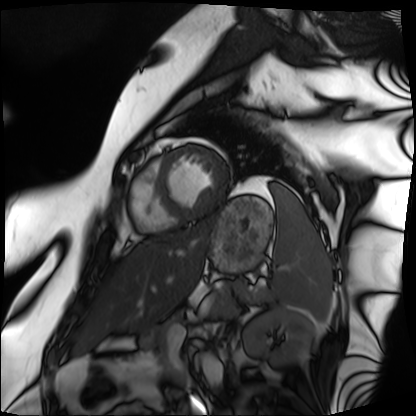
Cardiac MRI.
Subject group: patient.